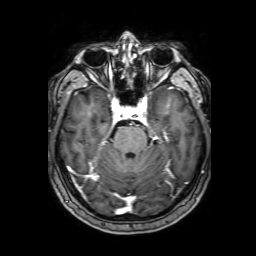
{"modality": {"type": "brain MRI", "field_strength": "3T"}, "series": "3D T1-weighted with SENSE", "study_topic": "ring-enhancing brain masses"}